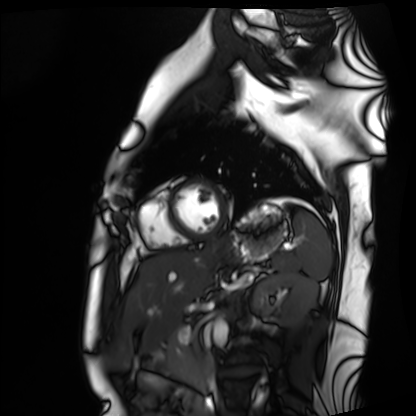
modality: cardiac MRI
subject group: healthy volunteer